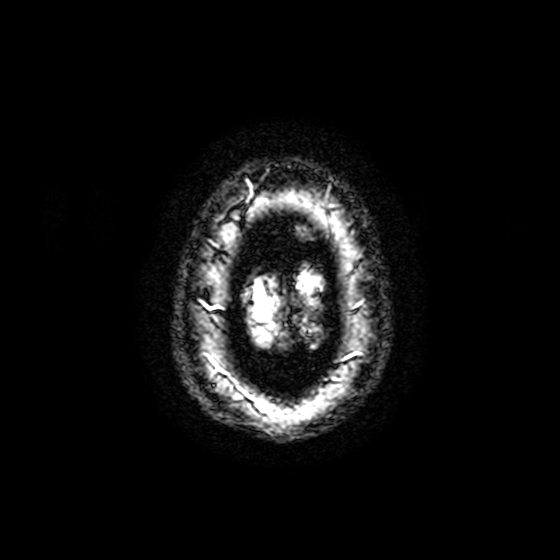
Clinical context:
3 Tesla brain MRI. Series: T2-weighted fast field echo with SENSE. Study: ring-enhancing brain masses.